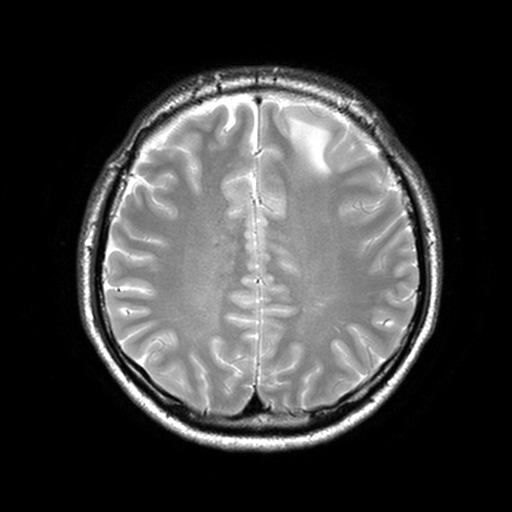
3 Tesla brain MRI. Series: T2-weighted turbo spin echo, 3 mm. Study: ring-enhancing brain masses.